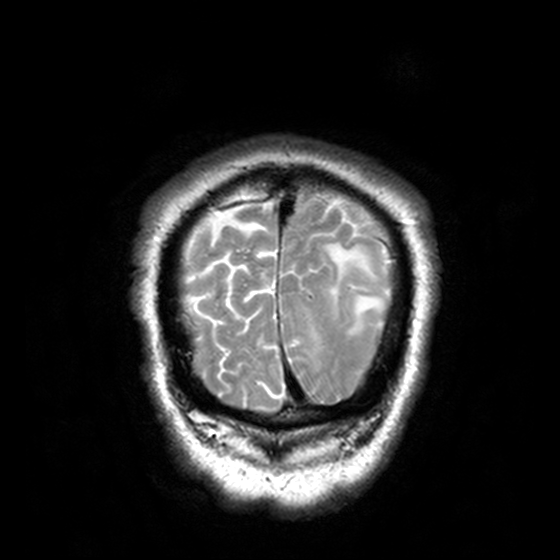
Summary: 3 Tesla brain MRI. Series: T2-weighted turbo spin echo, 3 mm. Study: ring-enhancing brain masses.